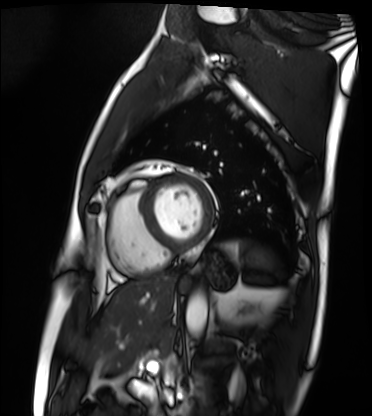
Cardiac MRI.
Subject group: patient.